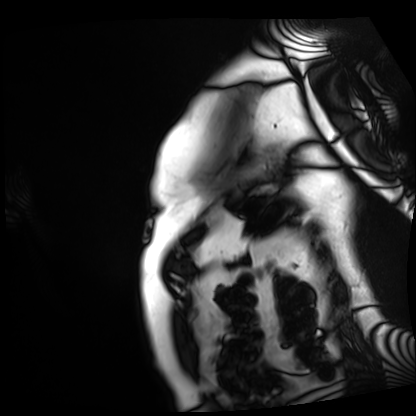
{"modality": "cardiac MRI", "cohort": "patient"}